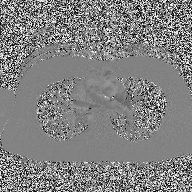
2D phase-contrast cine MRI of the ascending aorta, high-resolution GRAPPA acquisition.